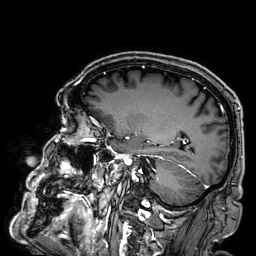
  modality:
    type: brain MRI
    field_strength: 3T
  series: 3D T1-weighted
  study_topic: ring-enhancing brain masses